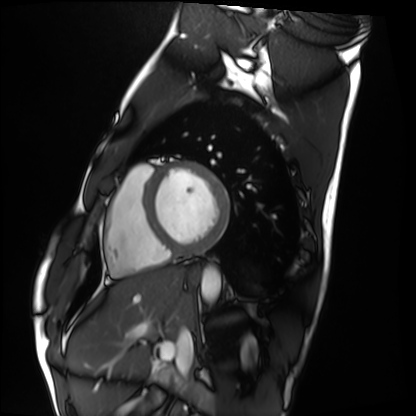
Cardiac MRI. Subject group: healthy volunteer.